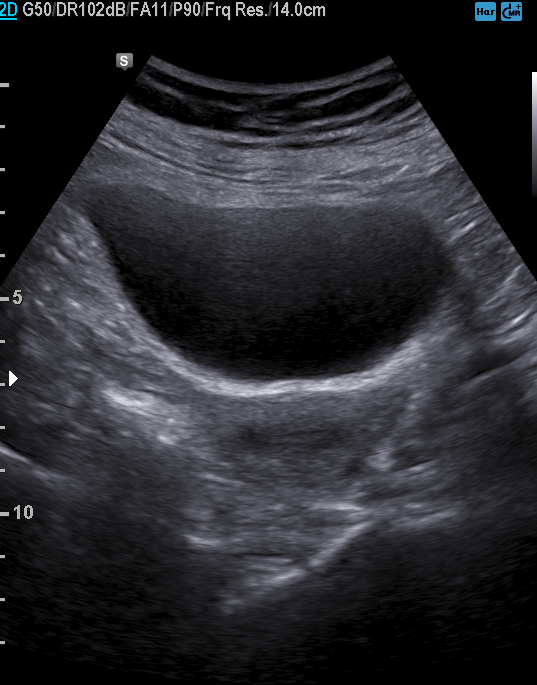
<study>
  <modality>
    <type>genitourinary ultrasound</type>
  </modality>
</study>